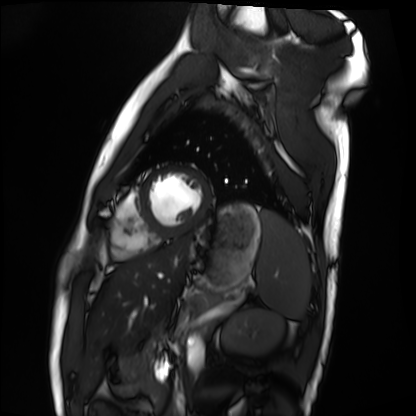
Q: What kind of scan is this?
A: Cardiac MRI.
Subject group: healthy volunteer.